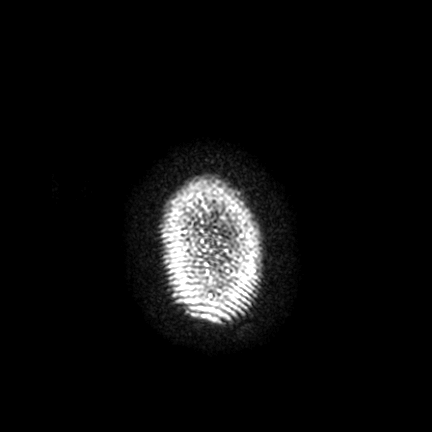
<study>
<modality>
  <type>brain MRI</type>
  <field_strength>3T</field_strength>
</modality>
<series>FLAIR VISTA with SENSE</series>
<study_topic>ring-enhancing brain masses</study_topic>
</study>